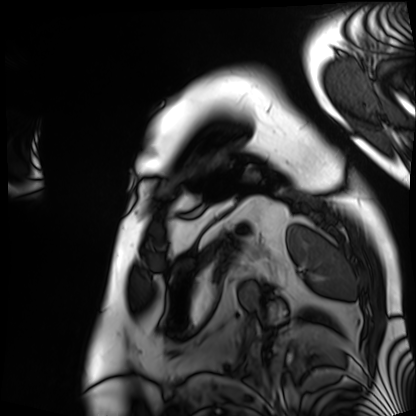
* modality: cardiac MRI
* subject group: patient